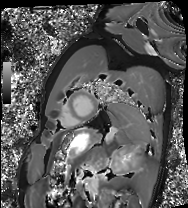
Clinical context:
Cardiac MRI. Subject group: healthy volunteer.